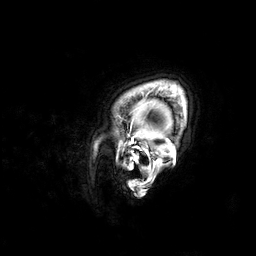
Summary: 3 Tesla brain MRI. Series: 3D T1-weighted. Study: ring-enhancing brain masses.